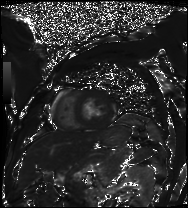
Clinical context:
Cardiac MRI. Subject group: patient.